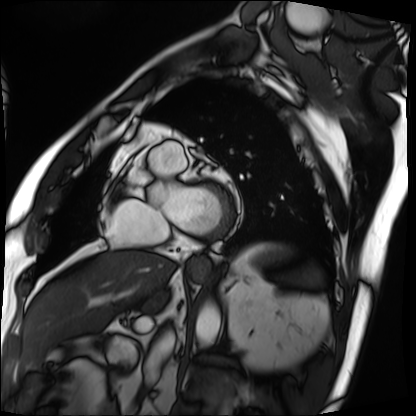
Cardiac MRI.
Subject group: patient.